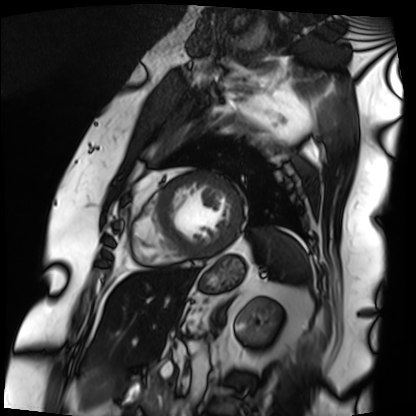
modality: cardiac MRI | subject group: patient.